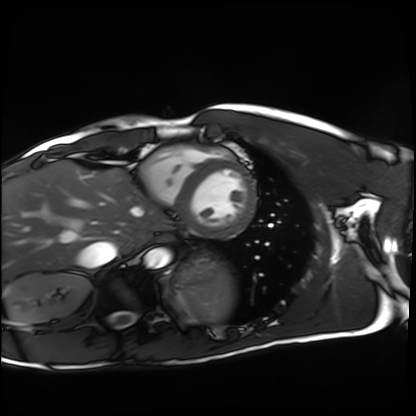
modality — cardiac MRI | subject group — healthy volunteer.